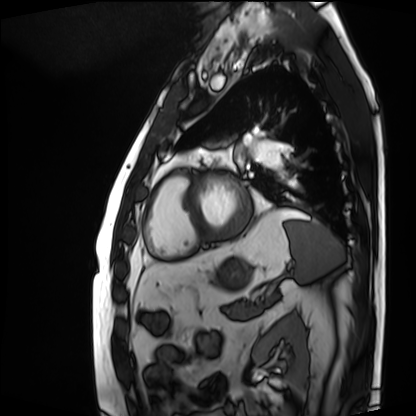
Cardiac MRI.
Subject group: patient.